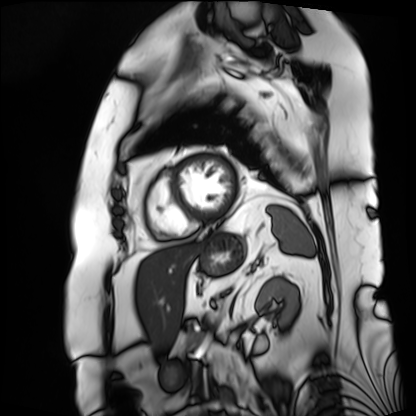
Cardiac MRI.
Subject group: patient.